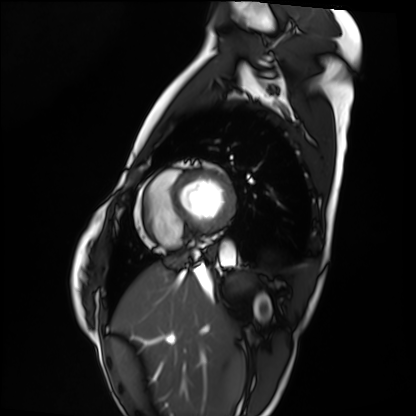
Cardiac MRI. Subject group: healthy volunteer.